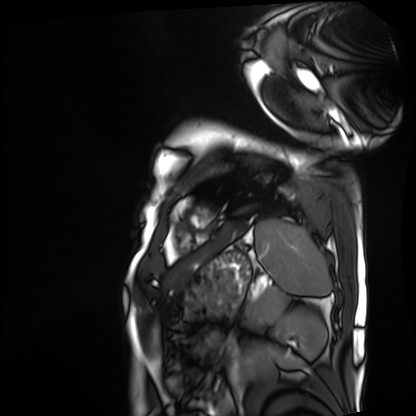
Summary:
Cardiac MRI. Subject group: patient.